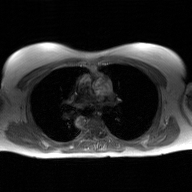
2D phase-contrast cine MRI of the ascending aorta, GAN super-resolution reconstruction.